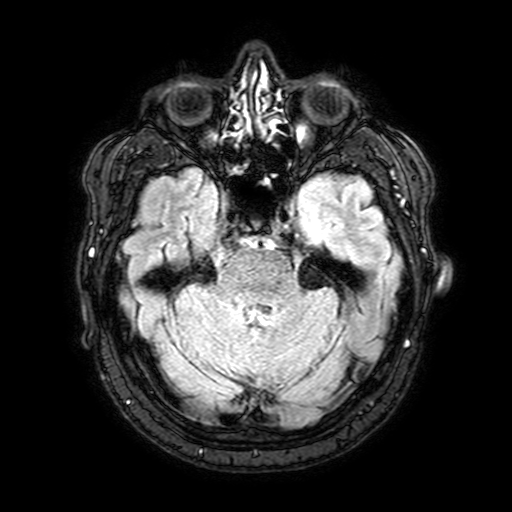
3 Tesla brain MRI. Series: FLAIR with SPAIR, 3 mm. Study: ring-enhancing brain masses.